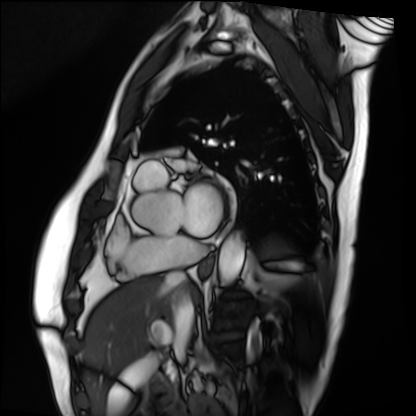
Q: What kind of scan is this?
A: Cardiac MRI.
Subject group: patient.